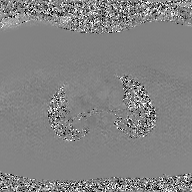
Q: What kind of scan is this?
A: 2D phase-contrast cine MRI of the ascending aorta, GAN super-resolution reconstruction.